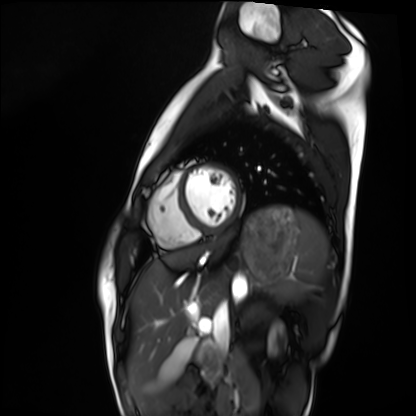
Case summary:
Cardiac MRI. Subject group: healthy volunteer.